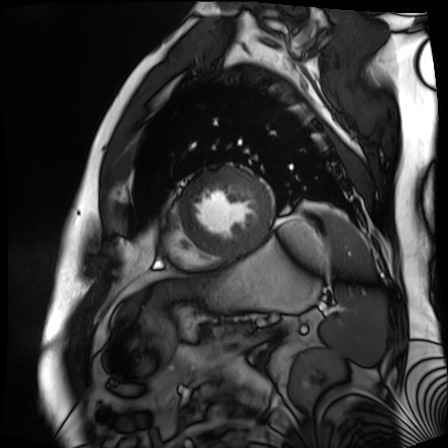
* modality: cardiac MR image of the myocardium
* subject cohort: cardiac patient